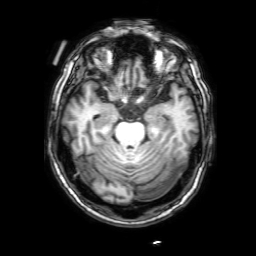
3 Tesla brain MRI. Series: 3D T1-weighted with SENSE. Study: ring-enhancing brain masses.